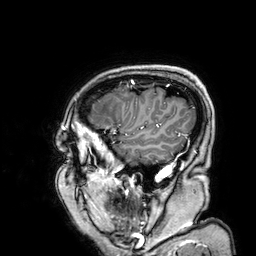
Case:
* modality · 3 Tesla brain MRI
* series · 3D T1-weighted
* study · ring-enhancing brain masses